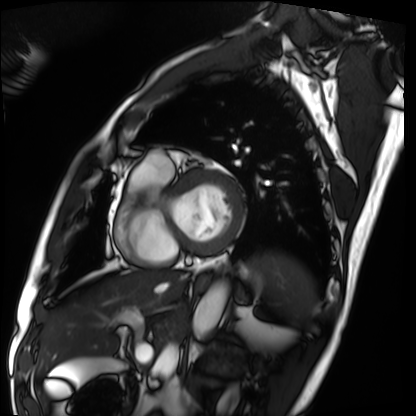
Summary: Cardiac MRI. Subject group: patient.